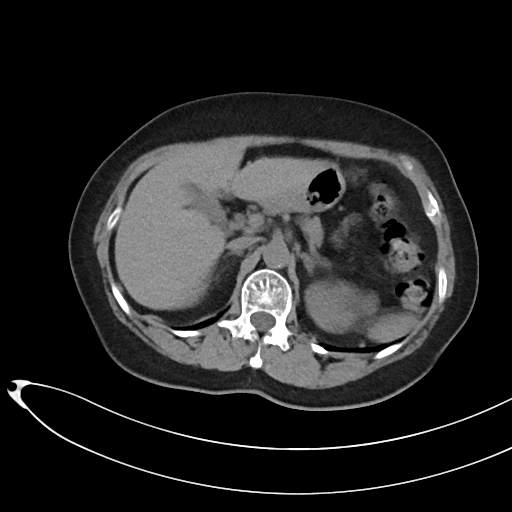
Multiphase abdominal CT, liver, non-contrast phase. Patient: female, age 69.